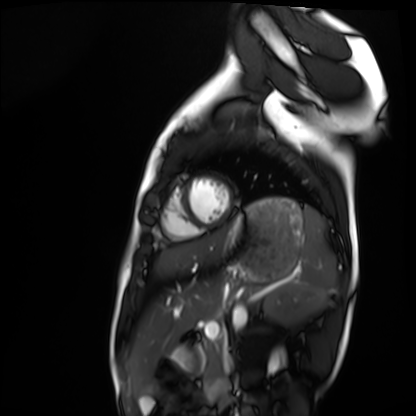
Clinical context:
Cardiac MRI. Subject group: healthy volunteer.